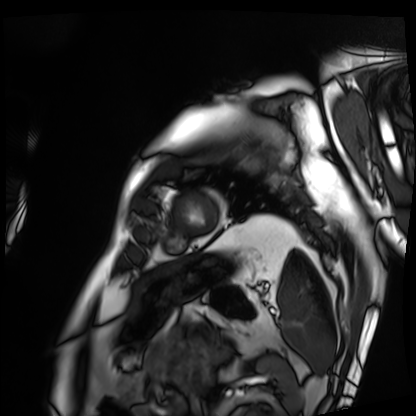
| field | value |
|---|---|
| modality | cardiac MRI |
| subject group | patient |